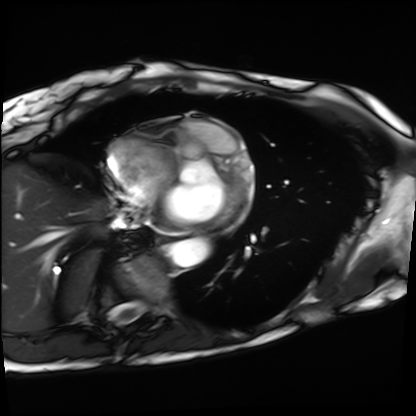
Summary:
Cardiac MRI. Subject group: patient.